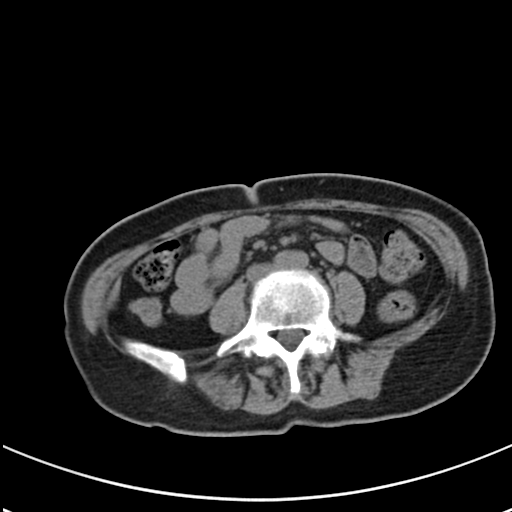
{
  "modality": {
    "type": "multiphase abdominal CT",
    "region": "liver",
    "phase": "non-contrast"
  },
  "patient": {
    "sex": "female",
    "age": 59
  }
}